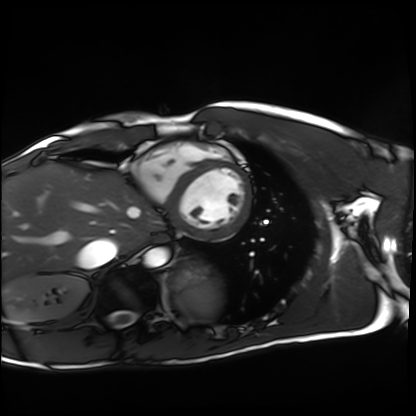
Summary: Cardiac MRI. Subject group: healthy volunteer.